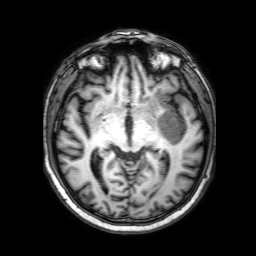
Q: What kind of scan is this?
A: 3 Tesla brain MRI.
Q: Series?
A: 3D T1-weighted with SENSE.
Study: ring-enhancing brain masses.